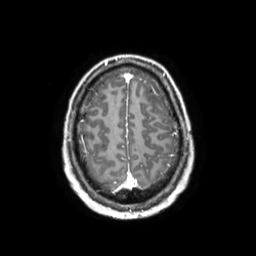
{
  "modality": {
    "type": "brain MRI",
    "field_strength": "3T"
  },
  "series": "3D T1-weighted TFE with SENSE",
  "study_topic": "ring-enhancing brain masses"
}